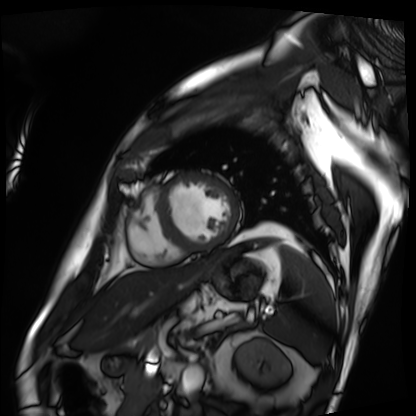
Clinical context:
Cardiac MRI. Subject group: patient.